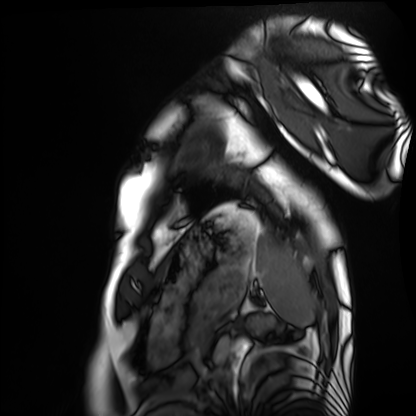
Case summary: Cardiac MRI. Subject group: healthy volunteer.